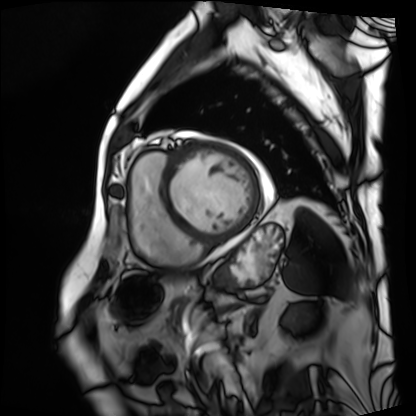
Cardiac MRI.
Subject group: patient.